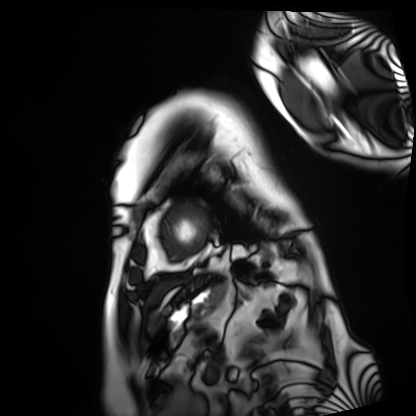
Q: What kind of scan is this?
A: Cardiac MRI.
Subject group: patient.